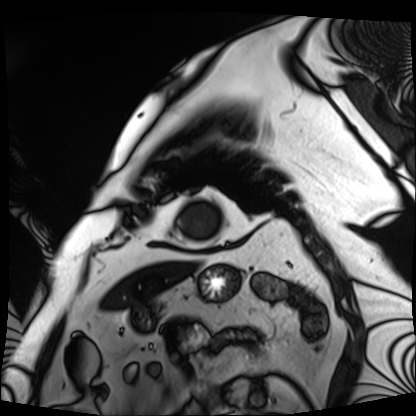
Q: What kind of scan is this?
A: Cardiac MRI.
Subject group: patient.